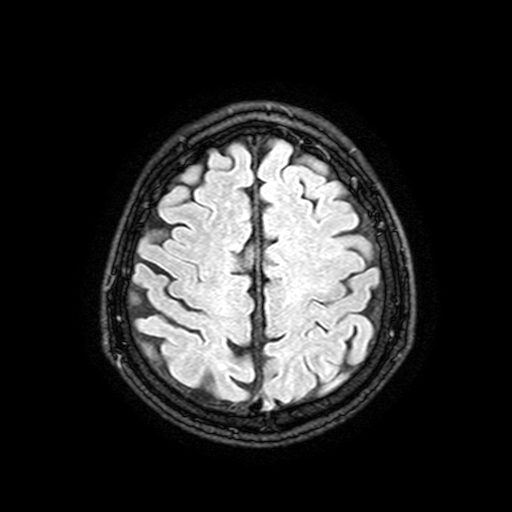
3 Tesla brain MRI. Series: FLAIR with SPAIR, 3 mm. Study: ring-enhancing brain masses.